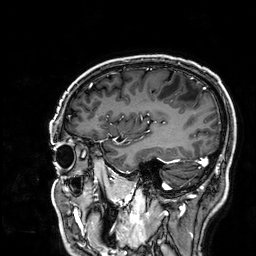
3 Tesla brain MRI. Series: 3D T1-weighted. Study: ring-enhancing brain masses.